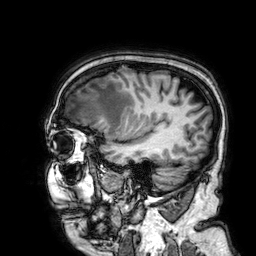
Summary: 3 Tesla brain MRI. Series: 3D T1-weighted. Study: ring-enhancing brain masses.